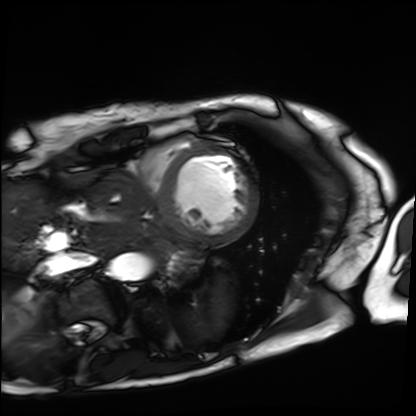
Q: What kind of scan is this?
A: Cardiac MRI.
Subject group: patient.